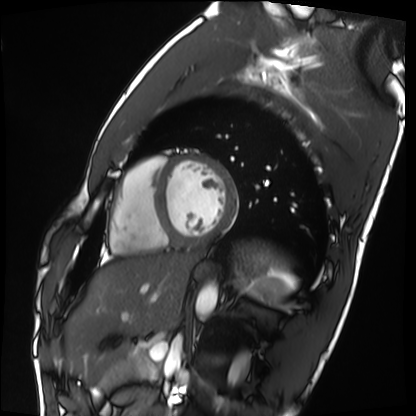
Cardiac MRI.
Subject group: healthy volunteer.